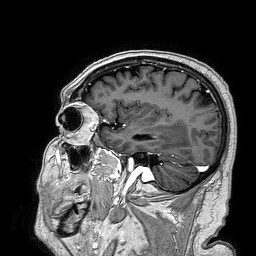
3 Tesla brain MRI. Series: 3D T1-weighted turbo field echo. Study: ring-enhancing brain masses.